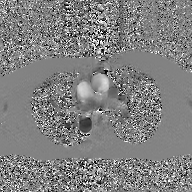
Case summary: 2D phase-contrast cine MRI of the ascending aorta, GAN super-resolution reconstruction.